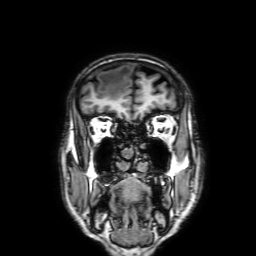
3 Tesla brain MRI. Series: 3D T1-weighted with SENSE. Study: ring-enhancing brain masses.